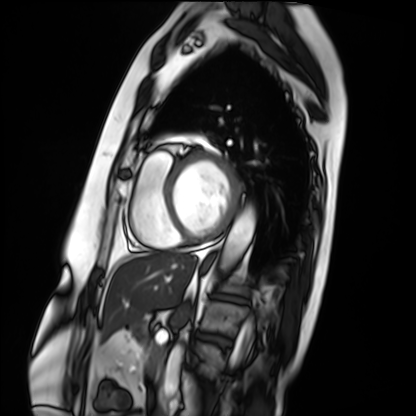
Cardiac MRI. Subject group: patient.